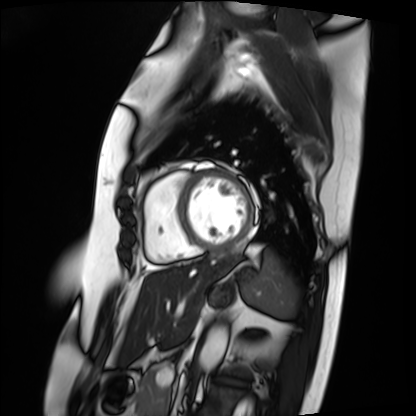
modality = cardiac MRI
subject group = patient